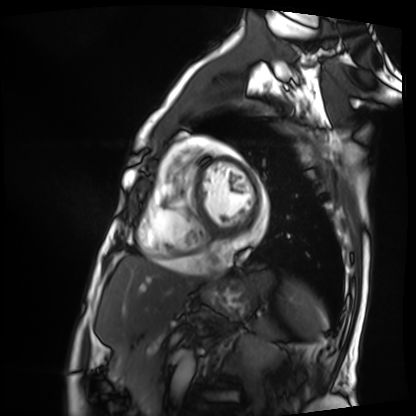
Case summary: Cardiac MRI. Subject group: patient.